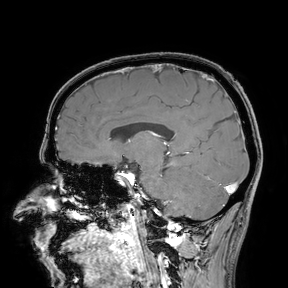
3 Tesla brain MRI. Study: ring-enhancing brain masses.